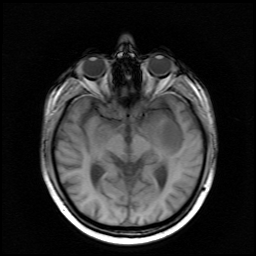
Case:
- modality · 3 Tesla brain MRI
- series · survey
- study · ring-enhancing brain masses